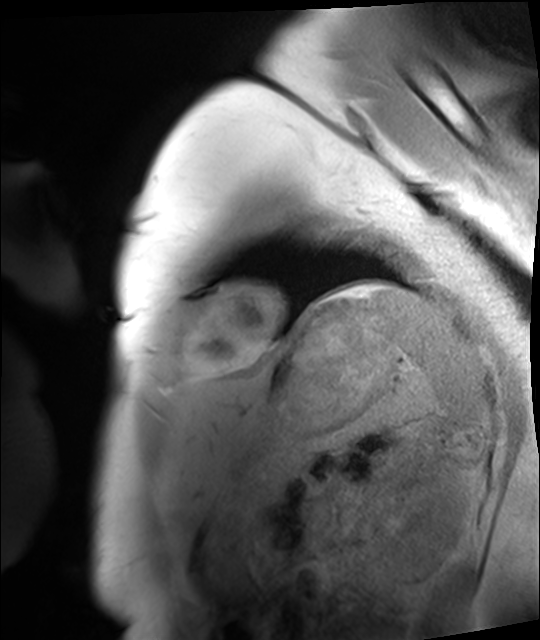
Cardiac MRI. Subject group: healthy volunteer.